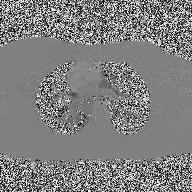
  modality:
    type: 2D phase-contrast cine MRI
    region: ascending aorta
    reconstruction: high-resolution GRAPPA acquisition